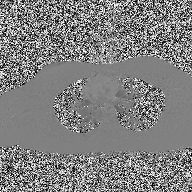
| field | value |
|---|---|
| modality | 2D phase-contrast cine MRI of the ascending aorta |